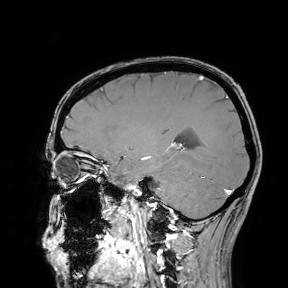
modality = 3 Tesla brain MRI; study = ring-enhancing brain masses.